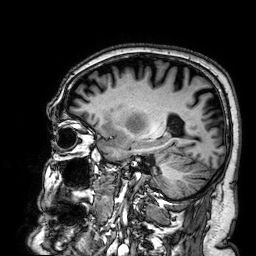
modality — 3 Tesla brain MRI; series — 3D T1-weighted; study — ring-enhancing brain masses.